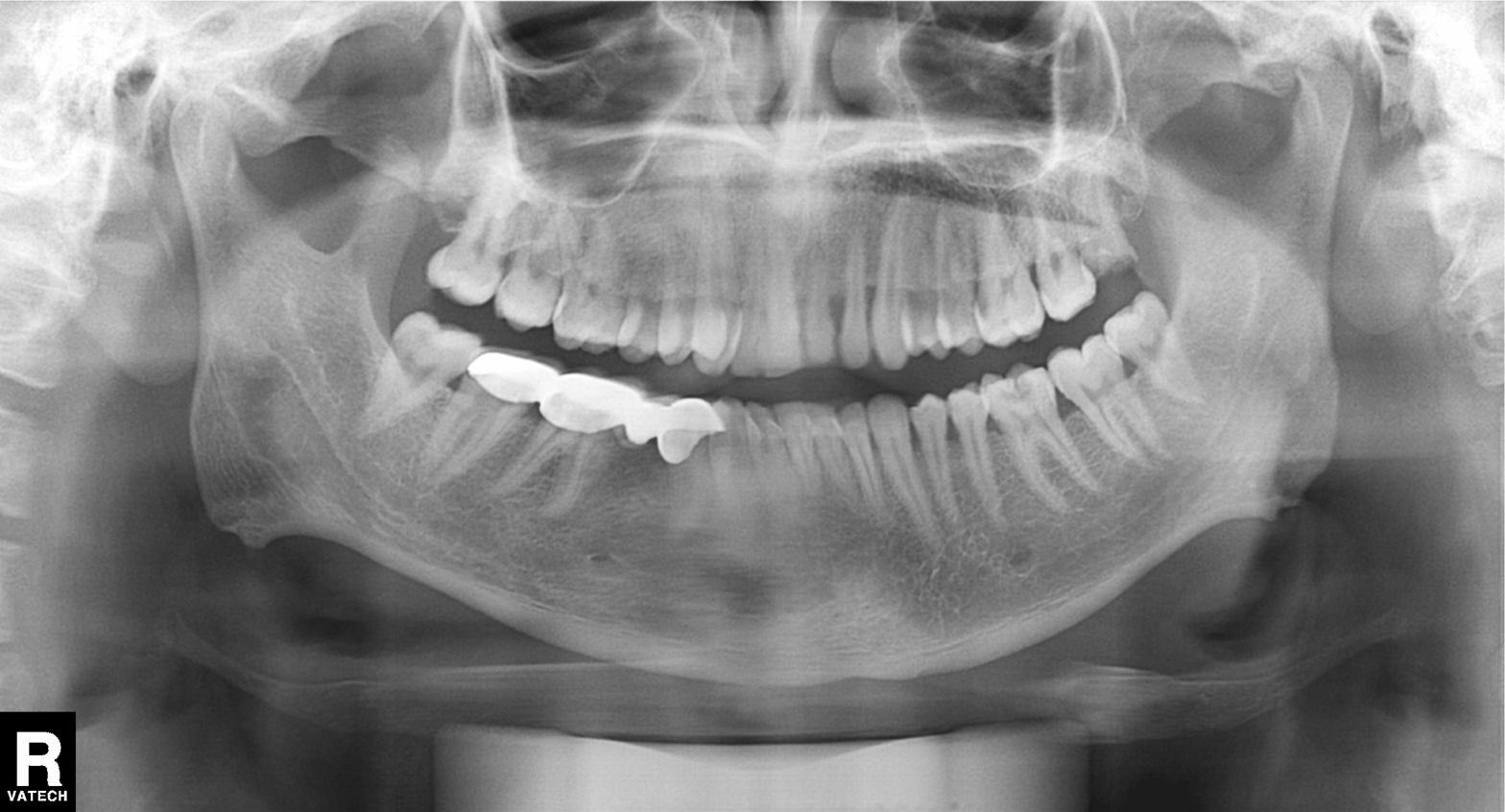
Case summary:
Panoramic dental radiograph (orthopantomogram).
Diagnosis:
Dental caries (cavities).